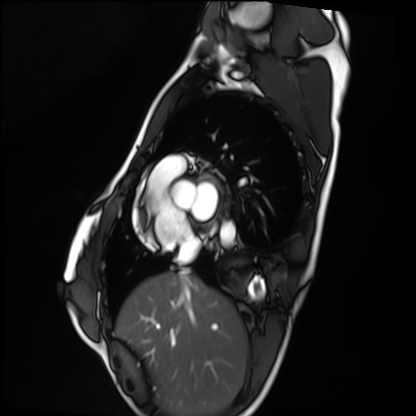
Q: What kind of scan is this?
A: Cardiac MRI.
Subject group: healthy volunteer.